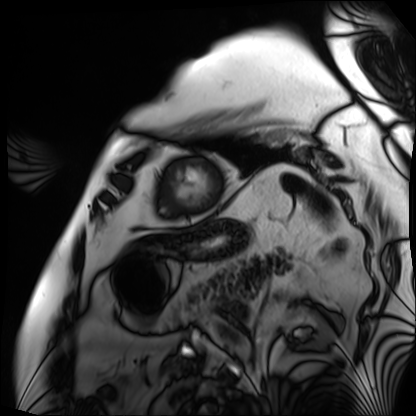
Q: What kind of scan is this?
A: Cardiac MRI.
Subject group: patient.